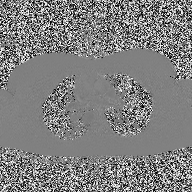
modality: 2D phase-contrast cine MRI of the ascending aorta.